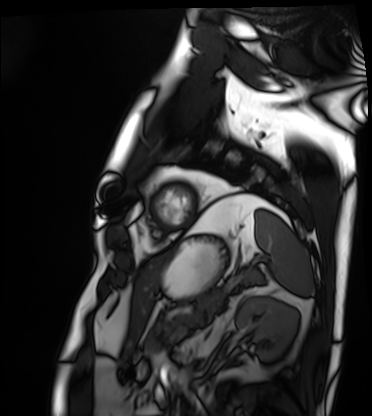
Cardiac MRI. Subject group: patient.